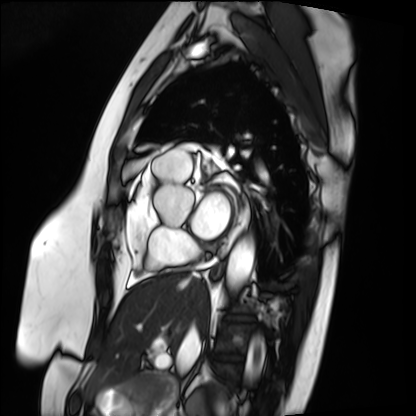
Clinical context:
Cardiac MRI. Subject group: patient.